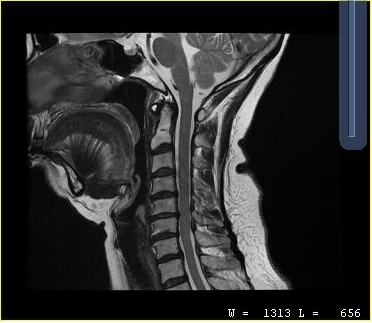
| field | value |
|---|---|
| modality | MRI of the cervical spine |
| study | cervical spondylosis |